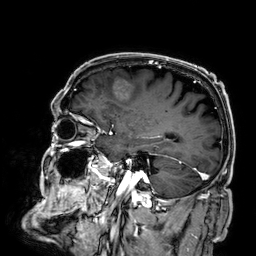
Q: What kind of scan is this?
A: 3 Tesla brain MRI.
Q: Series?
A: 3D T1-weighted.
Study: ring-enhancing brain masses.